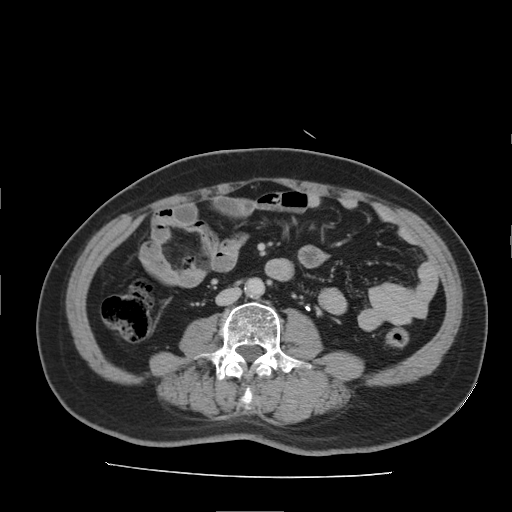
Summary:
Multiphase abdominal CT, liver, delayed phase. Patient: male, age 66.